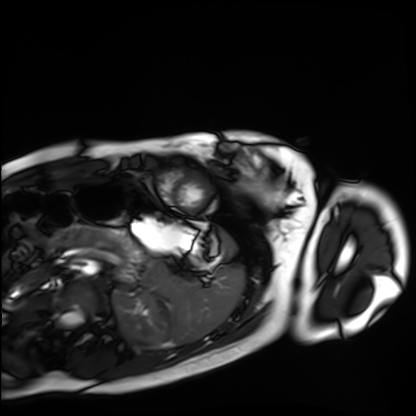
| field | value |
|---|---|
| modality | cardiac MRI |
| subject group | healthy volunteer |